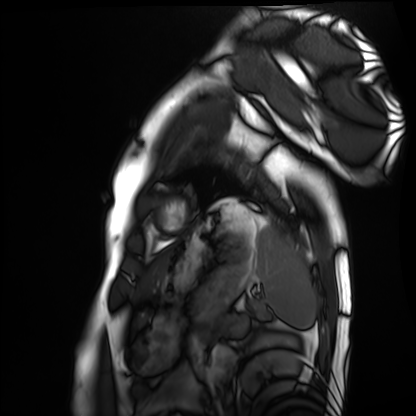
modality: cardiac MRI
cohort: healthy volunteer